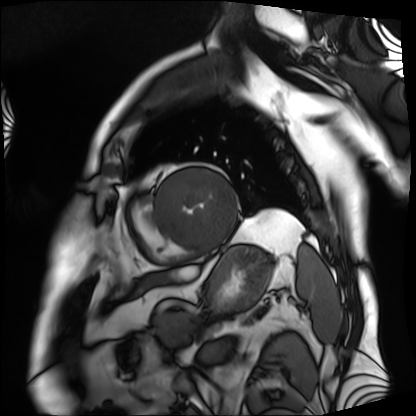
Cardiac MRI. Subject group: patient.